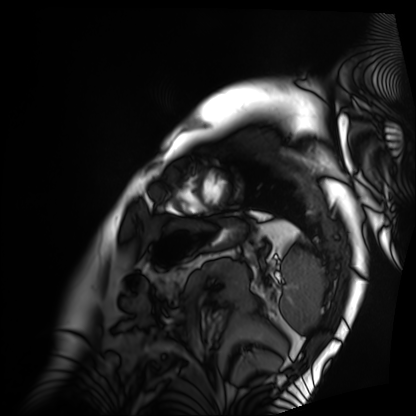
| field | value |
|---|---|
| modality | cardiac MRI |
| subject group | patient |